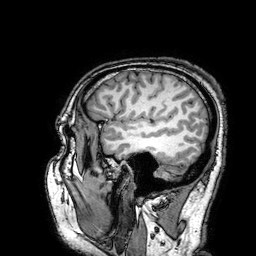
3 Tesla brain MRI. Series: 3D T1-weighted turbo field echo with SENSE. Study: ring-enhancing brain masses.